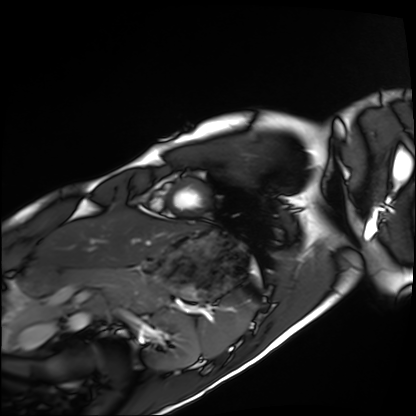
– modality · cardiac MRI
– subject group · healthy volunteer